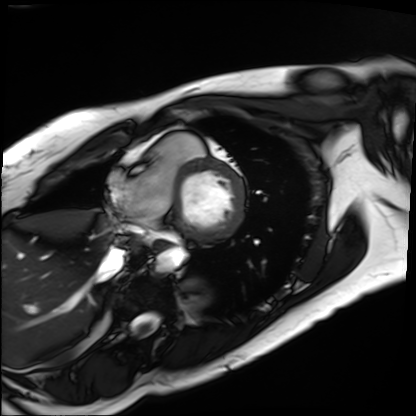
Cardiac MRI. Subject group: patient.